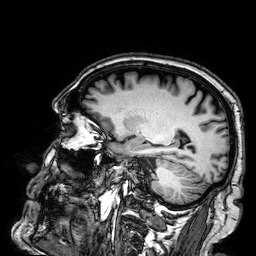
modality: 3 Tesla brain MRI
series: 3D T1-weighted
study: ring-enhancing brain masses